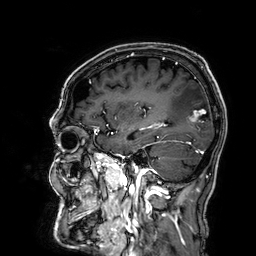
3 Tesla brain MRI.
Series: 3D T1-weighted.
Study: ring-enhancing brain masses.